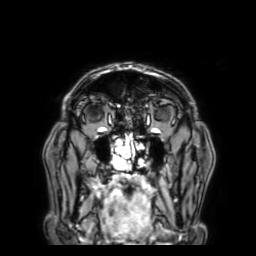
3 Tesla brain MRI.
Series: 3D T1-weighted with SENSE.
Study: ring-enhancing brain masses.